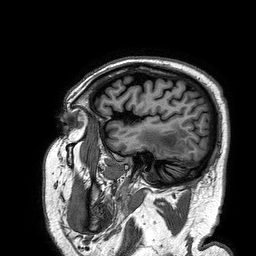
modality: 3 Tesla brain MRI | series: 3D T1-weighted turbo field echo | study: ring-enhancing brain masses.